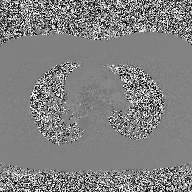
modality: 2D phase-contrast cine MRI of the ascending aorta